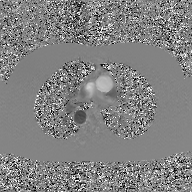
• modality: 2D phase-contrast cine MRI of the ascending aorta, GAN super-resolution reconstruction